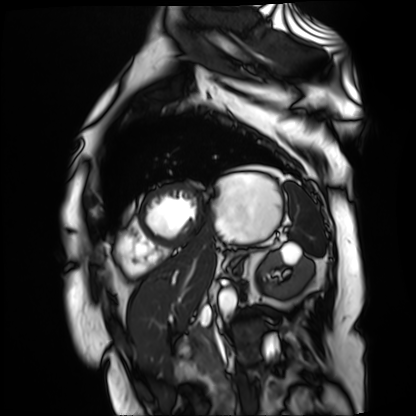
modality: cardiac MR image of the myocardium
subject cohort: cardiac patient